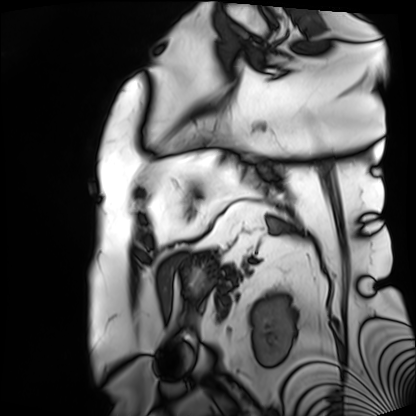
<case>
  <modality>cardiac MRI</modality>
  <cohort>patient</cohort>
</case>